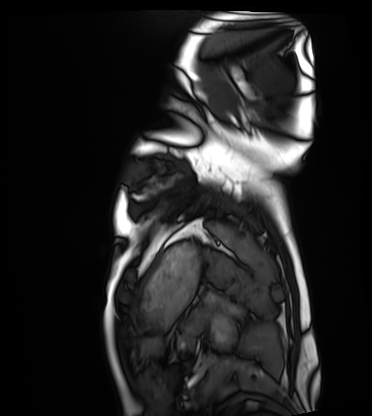
modality=cardiac MRI
subject group=healthy volunteer